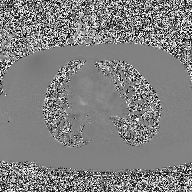
2D phase-contrast cine MRI of the ascending aorta, high-resolution GRAPPA acquisition.